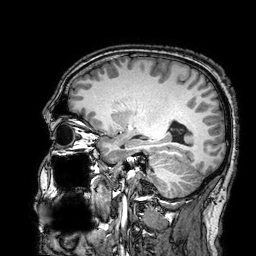
Clinical context:
3 Tesla brain MRI. Series: 3D T1-weighted turbo field echo with SENSE. Study: ring-enhancing brain masses.